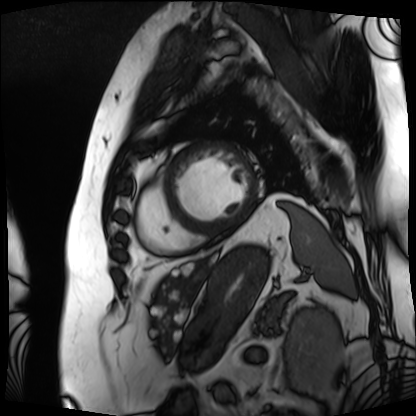
Case:
• modality · cardiac MRI
• subject group · patient